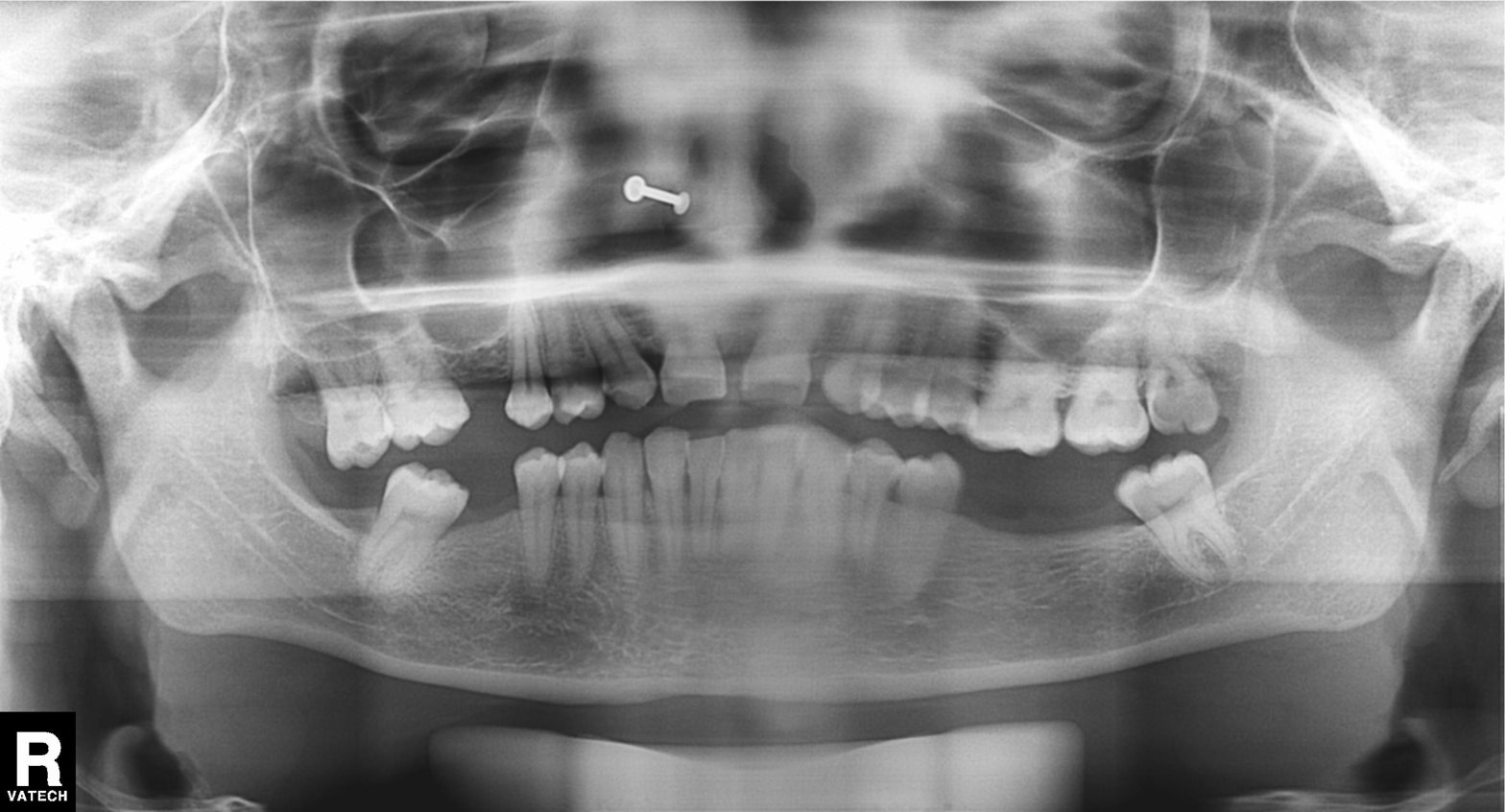
Q: What kind of scan is this?
A: Panoramic dental radiograph (orthopantomogram).
Q: What is the radiographic finding?
A: Alveolar bone loss.